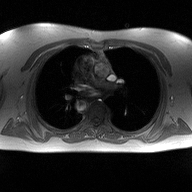
<case>
  <modality>
    <type>2D phase-contrast cine MRI</type>
    <region>ascending aorta</region>
    <reconstruction>high-resolution GRAPPA acquisition</reconstruction>
  </modality>
</case>